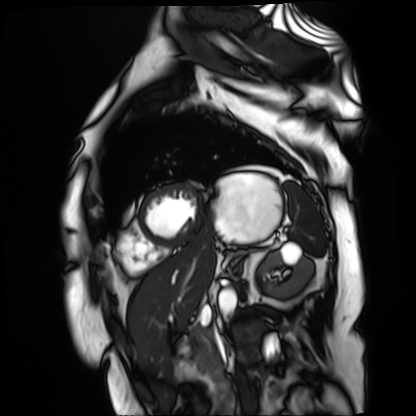
Summary: Cardiac MR image of the myocardium. Subject cohort: cardiac patient.